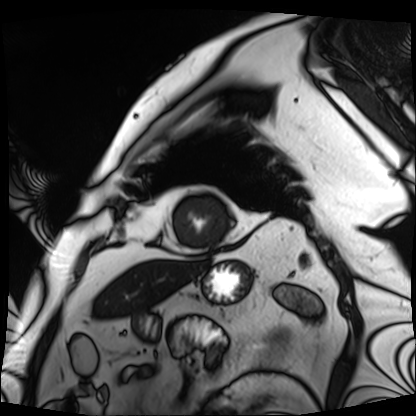
Case summary:
Cardiac MRI. Subject group: patient.